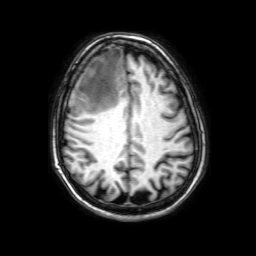
Q: What kind of scan is this?
A: 3 Tesla brain MRI.
Study: ring-enhancing brain masses.